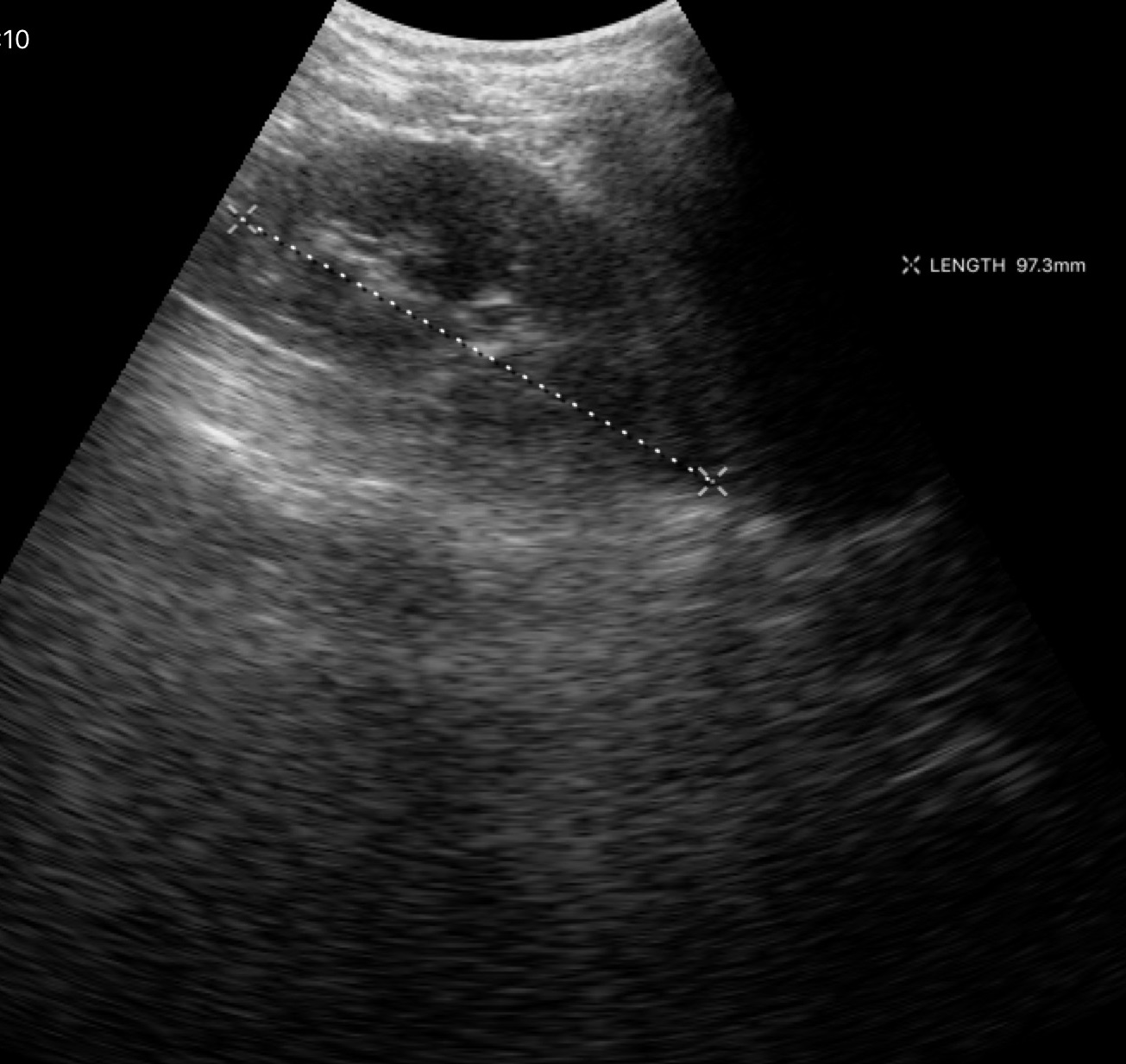
<study>
<modality>
  <type>genitourinary ultrasound</type>
</modality>
</study>